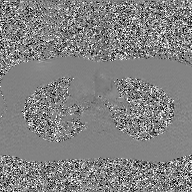
modality: 2D phase-contrast cine MRI of the ascending aorta, GAN super-resolution reconstruction.